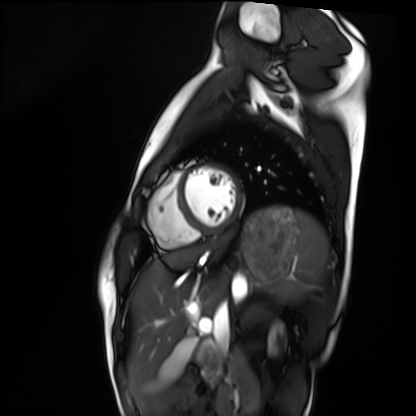
Cardiac MRI.
Subject group: healthy volunteer.